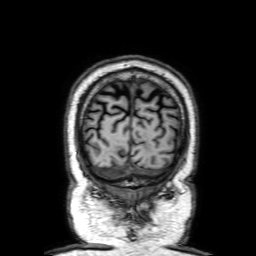
Q: What kind of scan is this?
A: 3 Tesla brain MRI.
Q: Series?
A: 3D T1-weighted with SENSE.
Study: ring-enhancing brain masses.